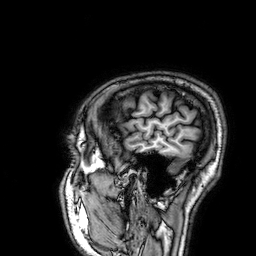
Case:
- modality · 3 Tesla brain MRI
- series · 3D T1-weighted
- study · ring-enhancing brain masses